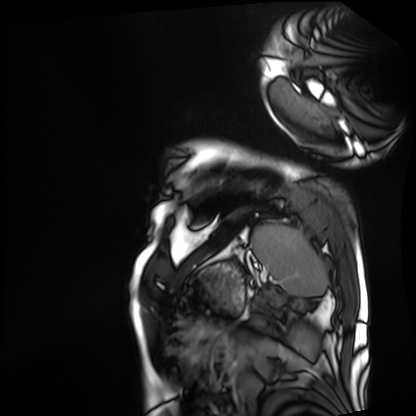
{
  "modality": "cardiac MRI",
  "cohort": "patient"
}